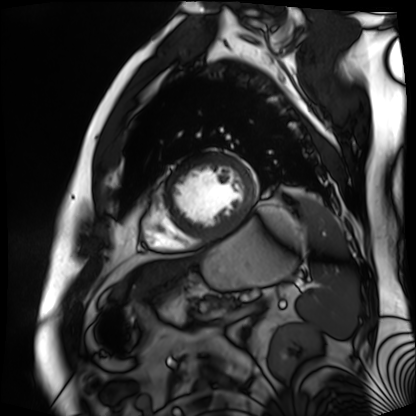
Summary:
Cardiac MR image of the myocardium. Subject cohort: cardiac patient.